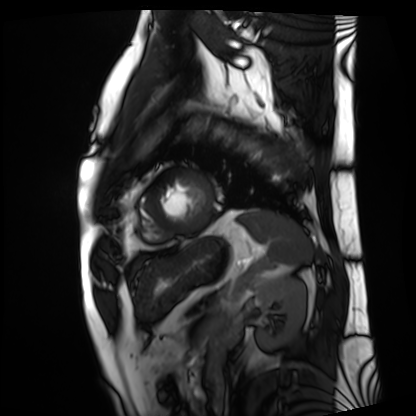
Cardiac MRI. Subject group: patient.